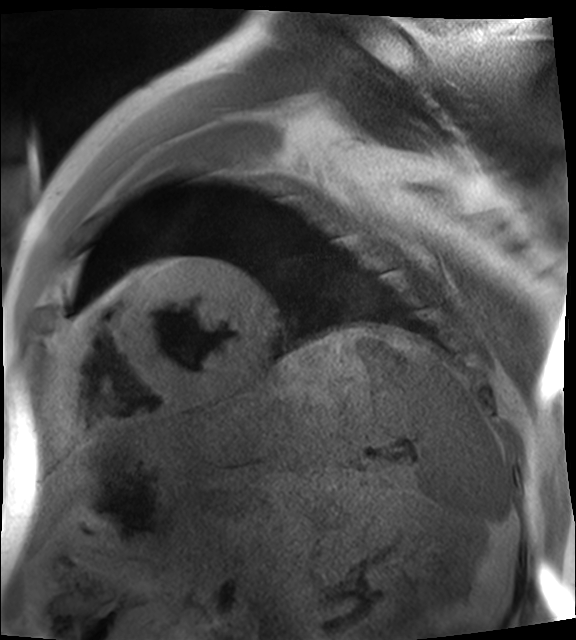
Q: What kind of scan is this?
A: Cardiac MR image of the myocardium.
Subject cohort: cardiac patient.